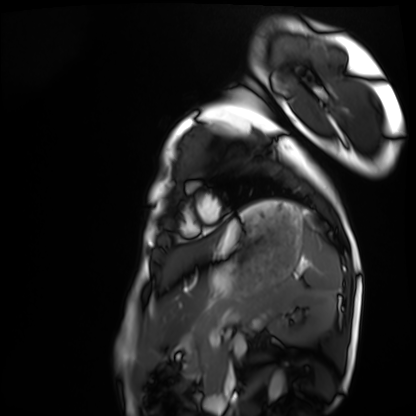
| field | value |
|---|---|
| modality | cardiac MRI |
| subject group | healthy volunteer |